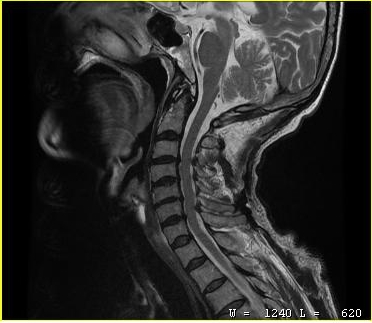
Q: What kind of scan is this?
A: MRI of the cervical spine.
Study: cervical spondylosis.